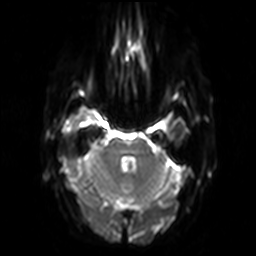
* modality — 3 Tesla brain MRI
* series — diffusion-weighted imaging
* study — ring-enhancing brain masses